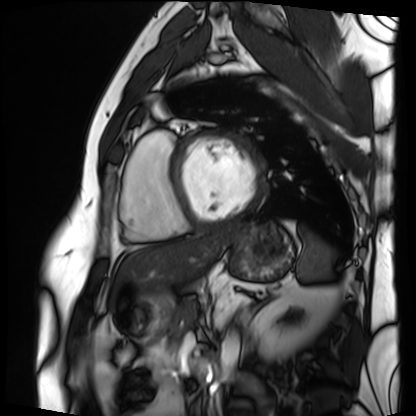
Cardiac MRI. Subject group: patient.